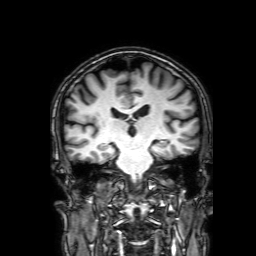
Case summary:
3 Tesla brain MRI. Series: 3D T1-weighted with SENSE. Study: ring-enhancing brain masses.